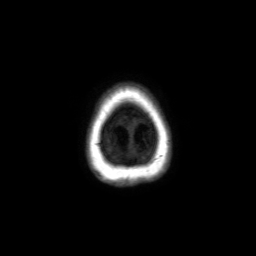
Summary:
3 Tesla brain MRI. Series: axial without contrast. Study: ring-enhancing brain masses.